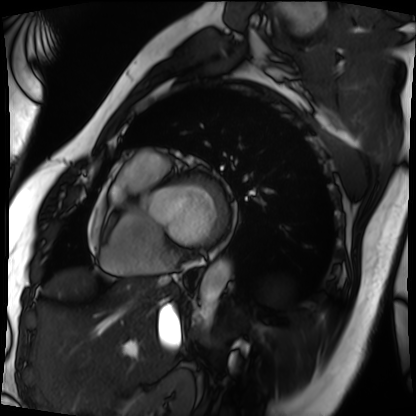
modality: cardiac MRI; subject group: patient.